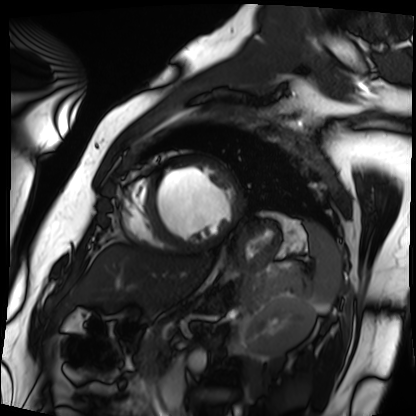
Cardiac MRI. Subject group: patient.